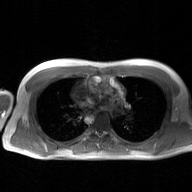
Summary:
2D phase-contrast cine MRI of the ascending aorta, GAN super-resolution reconstruction.